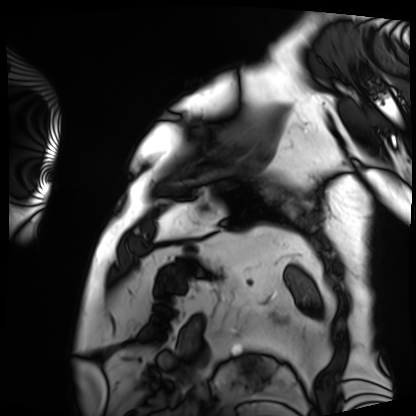
Cardiac MRI. Subject group: patient.